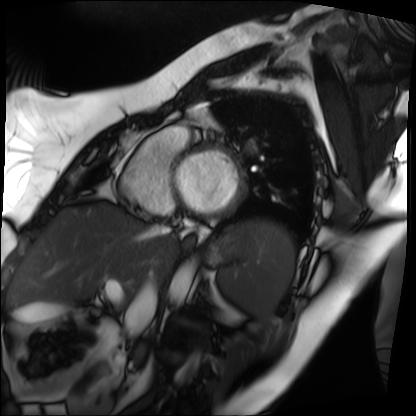
Cardiac MRI.
Subject group: patient.